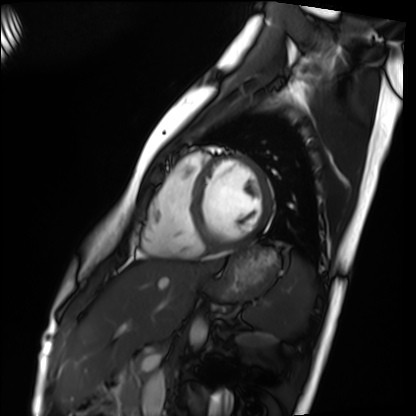
{"modality": "cardiac MRI", "cohort": "healthy volunteer"}